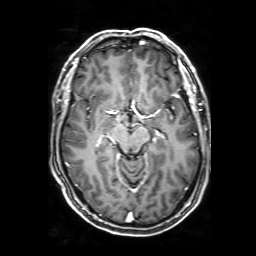
* modality: 3 Tesla brain MRI
* series: 3D T1-weighted with SENSE
* study: ring-enhancing brain masses